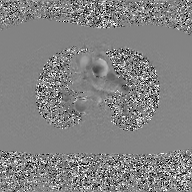
Clinical context:
2D phase-contrast cine MRI of the ascending aorta, GAN super-resolution reconstruction.